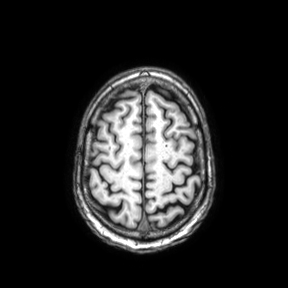
modality: 3 Tesla brain MRI | series: axial | study: ring-enhancing brain masses.